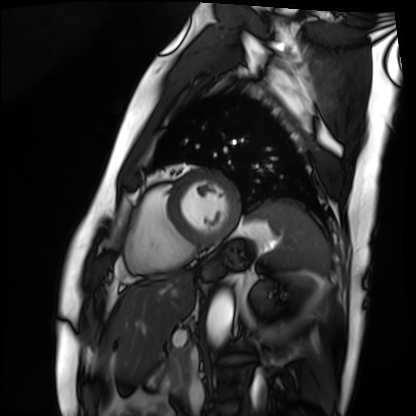
Cardiac MRI. Subject group: patient.